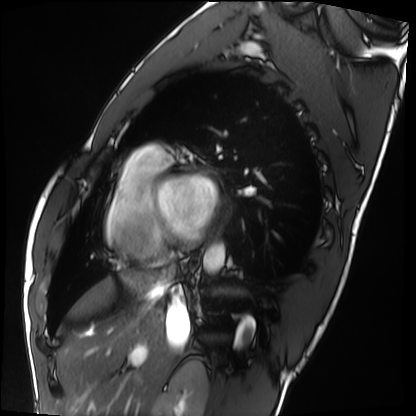
{"modality": "cardiac MRI", "cohort": "healthy volunteer"}